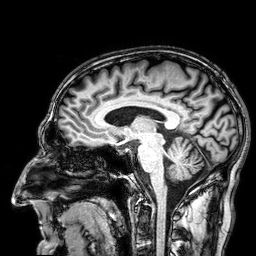
modality=3 Tesla brain MRI | series=3D T1-weighted | study=ring-enhancing brain masses.